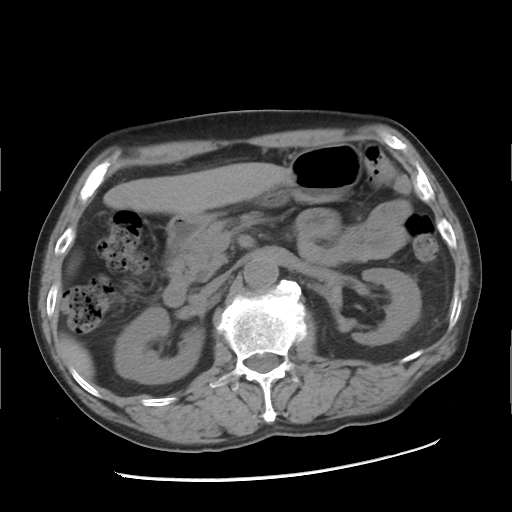
Summary:
Multiphase abdominal CT, liver, non-contrast phase. Patient: male, age 67.